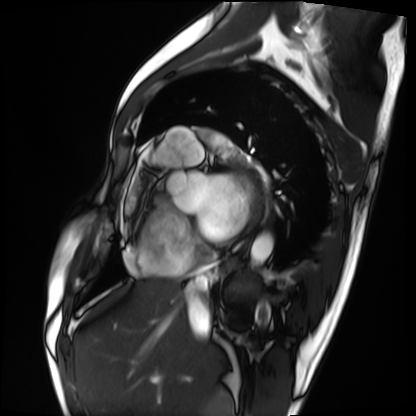
Cardiac MRI.
Subject group: patient.